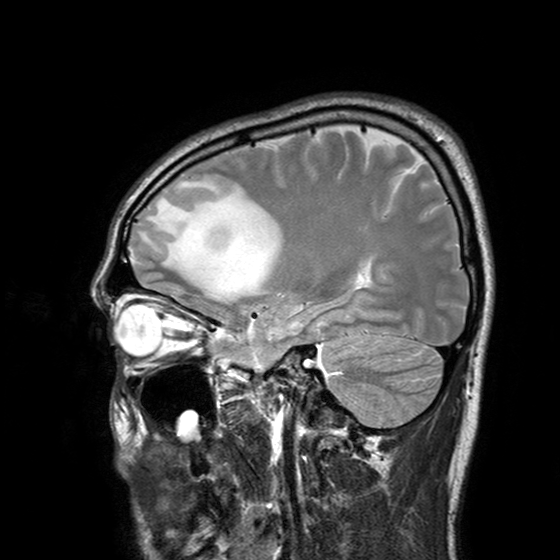
<study>
  <modality>
    <type>brain MRI</type>
    <field_strength>3T</field_strength>
  </modality>
  <series>T2-weighted turbo spin echo with SENSE</series>
  <study_topic>ring-enhancing brain masses</study_topic>
</study>